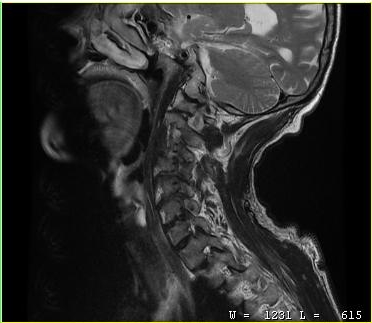
MRI of the cervical spine. Study: cervical spondylosis.